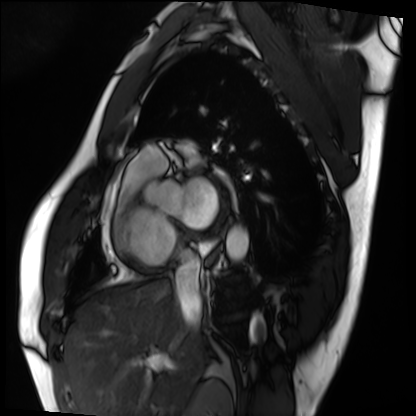
Q: What kind of scan is this?
A: Cardiac MRI.
Subject group: patient.